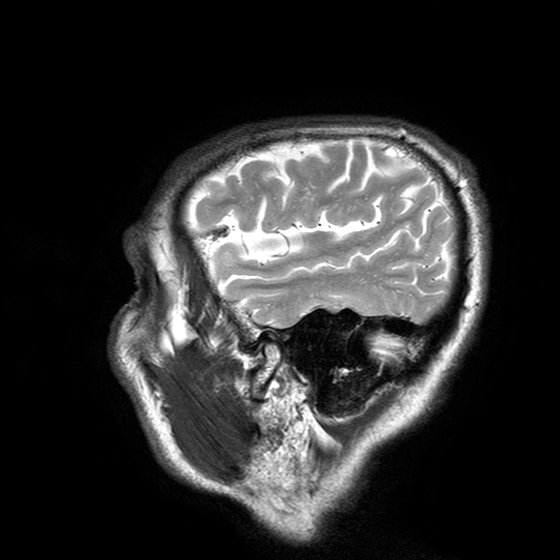
3 Tesla brain MRI. Series: T2-weighted turbo spin echo with SENSE. Study: ring-enhancing brain masses.